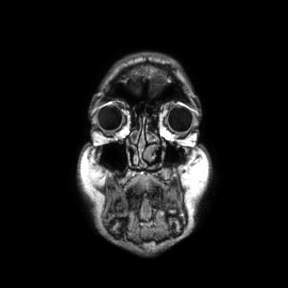
Summary: 3 Tesla brain MRI. Series: coronal. Study: ring-enhancing brain masses.